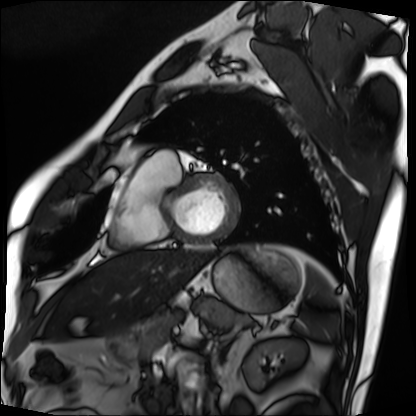
Clinical context:
Cardiac MRI. Subject group: patient.